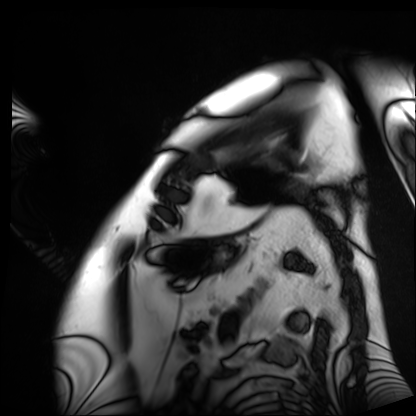
modality: cardiac MRI; subject group: patient.